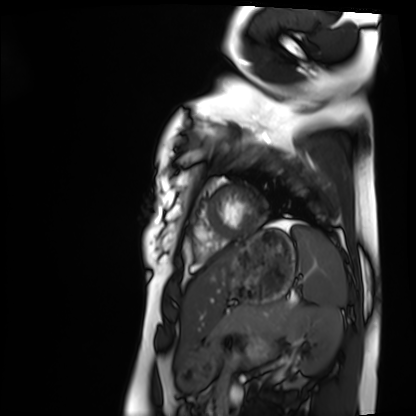
Cardiac MRI. Subject group: healthy volunteer.